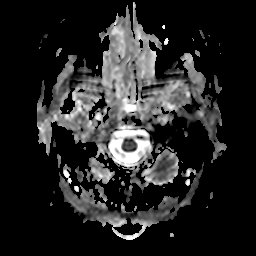
Summary: 3 Tesla brain MRI. Series: apparent diffusion coefficient (ADC) map. Study: ring-enhancing brain masses.